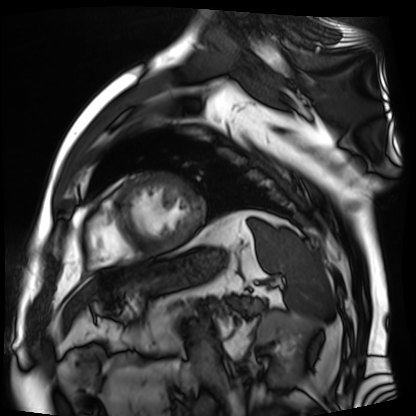
Summary:
Cardiac MR image of the myocardium. Subject cohort: cardiac patient.